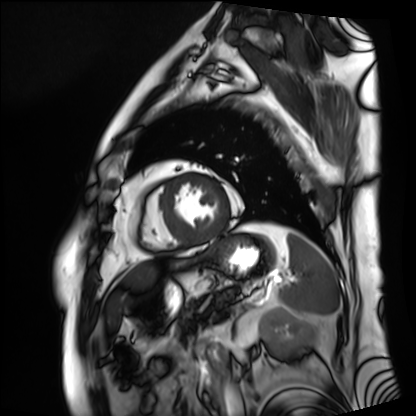
Cardiac MRI.
Subject group: patient.